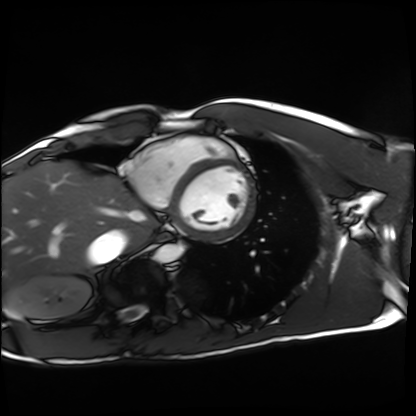
modality — cardiac MRI | subject group — healthy volunteer.